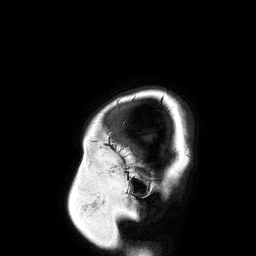
– modality: 3 Tesla brain MRI
– series: 3D T1-weighted turbo field echo
– study: ring-enhancing brain masses